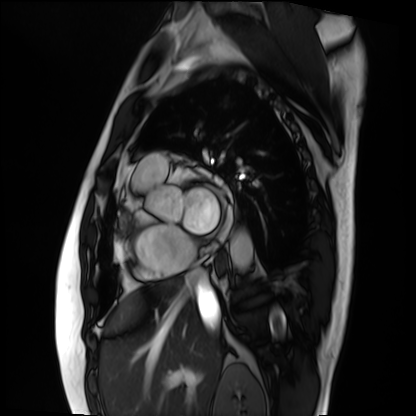
Summary: Cardiac MRI. Subject group: patient.